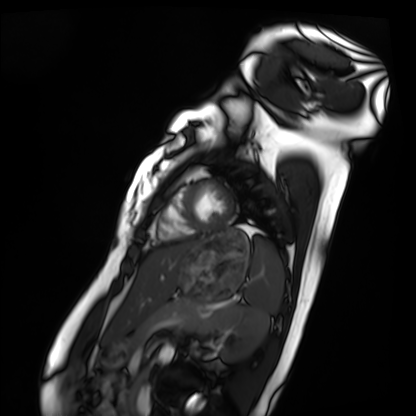
modality: cardiac MRI; subject group: healthy volunteer.